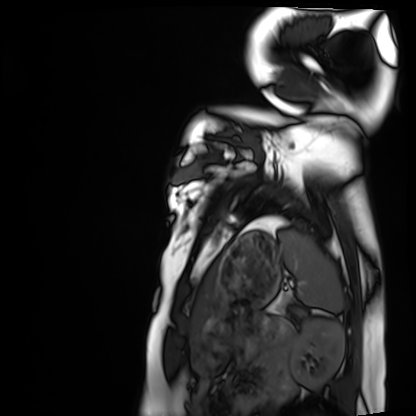
Summary: Cardiac MRI. Subject group: healthy volunteer.